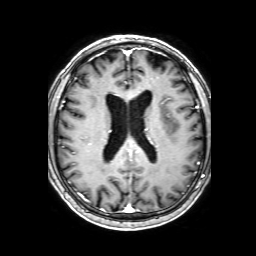
{
  "modality": {
    "type": "brain MRI",
    "field_strength": "3T"
  },
  "series": "3D T1-weighted with SENSE",
  "study_topic": "ring-enhancing brain masses"
}